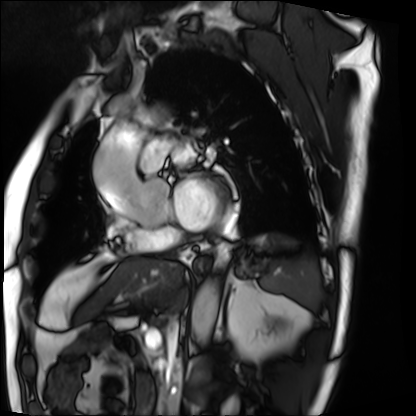
Cardiac MRI. Subject group: patient.